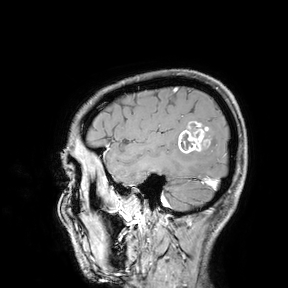
3 Tesla brain MRI. Study: ring-enhancing brain masses.